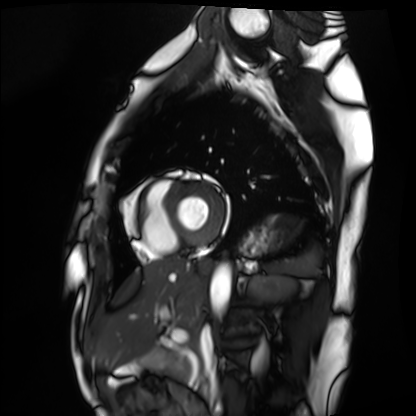
Clinical context: Cardiac MRI. Subject group: healthy volunteer.